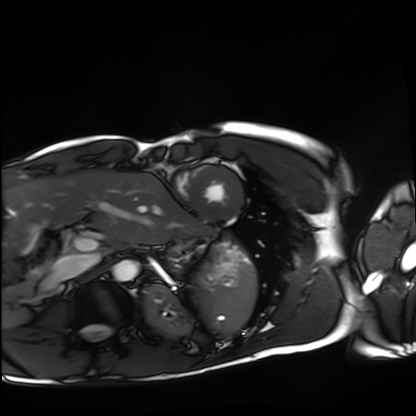
{"modality": "cardiac MRI", "cohort": "healthy volunteer"}